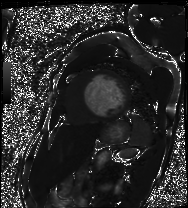
| field | value |
|---|---|
| modality | cardiac MRI |
| subject group | patient |